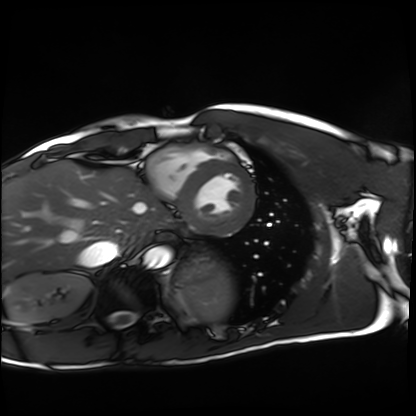
modality = cardiac MRI, subject group = healthy volunteer.